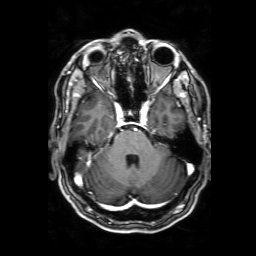
{"modality": {"type": "brain MRI", "field_strength": "3T"}, "series": "3D T1-weighted with SENSE", "study_topic": "ring-enhancing brain masses"}